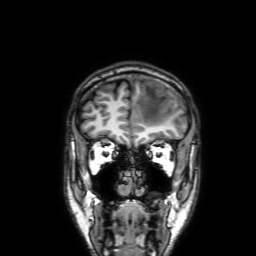
Q: What kind of scan is this?
A: 3 Tesla brain MRI.
Q: Series?
A: 3D T1-weighted with SENSE.
Study: ring-enhancing brain masses.